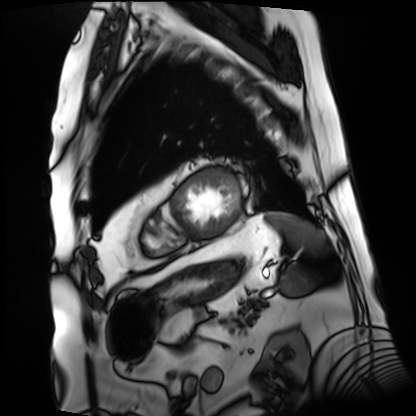
Cardiac MRI. Subject group: patient.